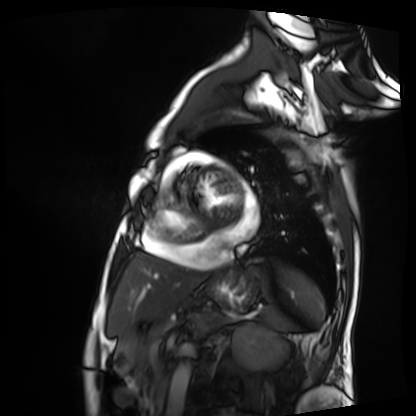
Cardiac MRI. Subject group: patient.